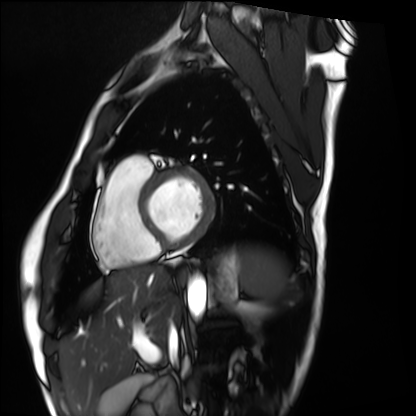
Clinical context:
Cardiac MRI. Subject group: healthy volunteer.